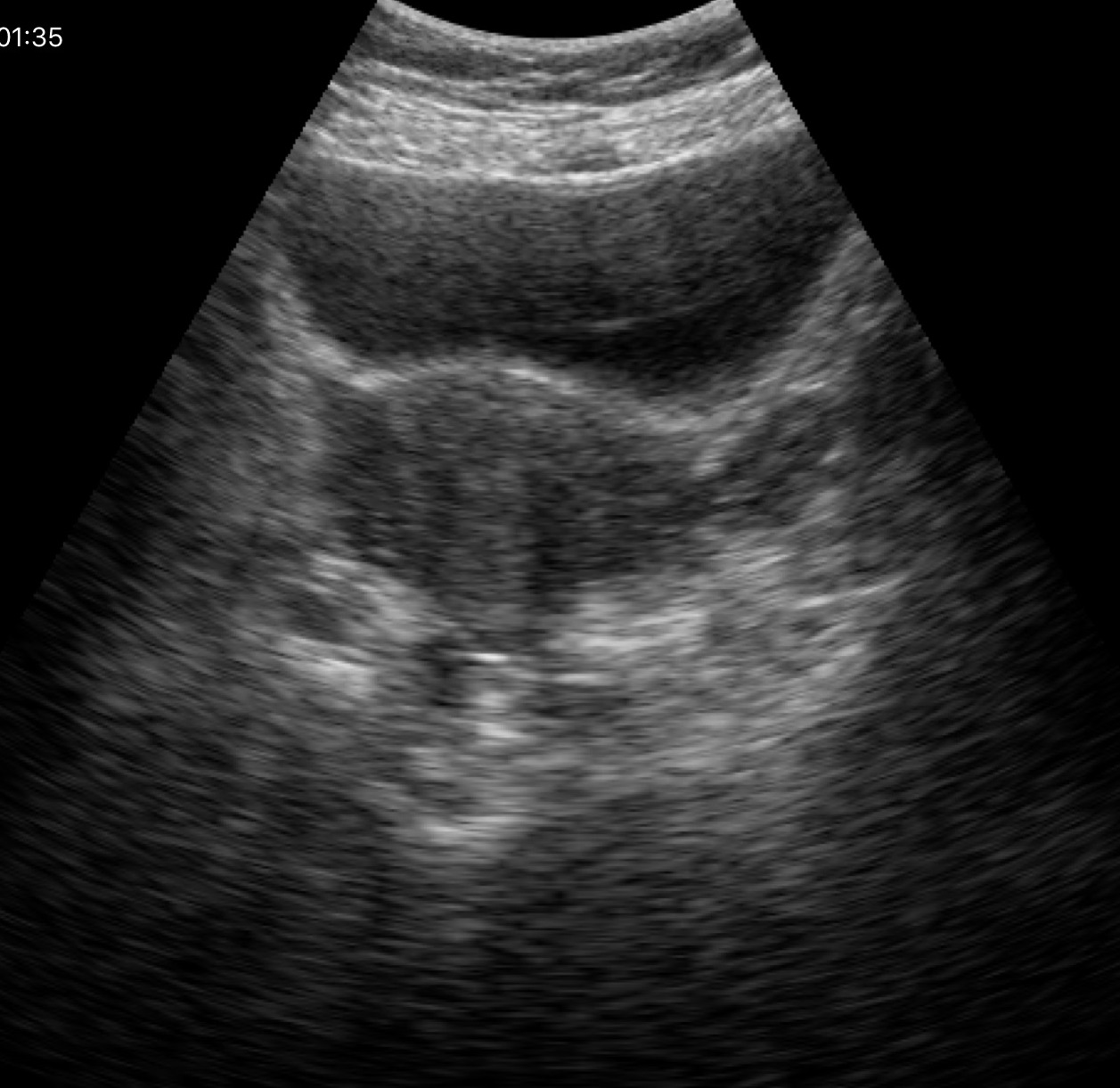
Genitourinary ultrasound.